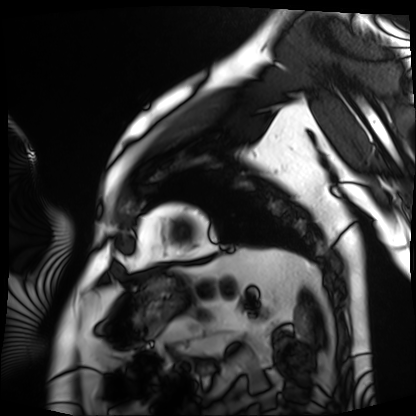
Case:
* modality · cardiac MRI
* subject group · patient